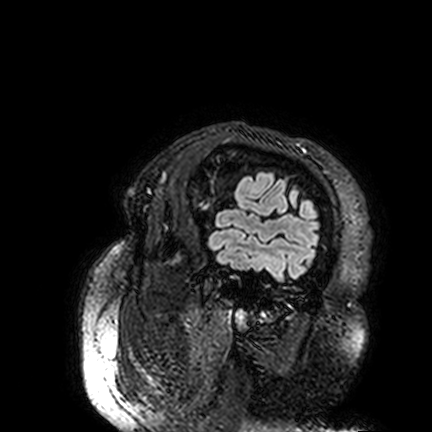
Case:
– modality — 3 Tesla brain MRI
– series — FLAIR VISTA
– study — ring-enhancing brain masses